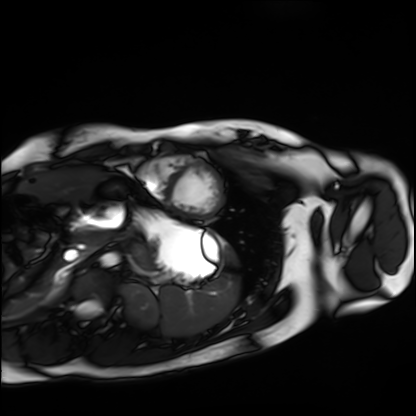
Cardiac MRI. Subject group: healthy volunteer.